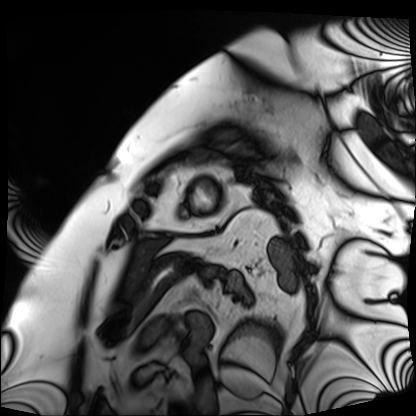
modality = cardiac MRI; subject group = patient.